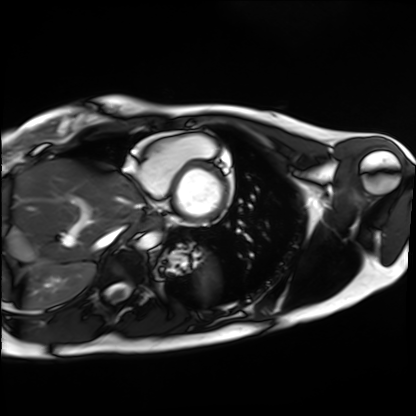
Clinical context:
Cardiac MRI. Subject group: healthy volunteer.